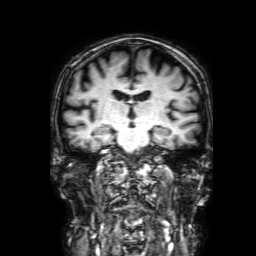
Clinical context:
3 Tesla brain MRI. Series: 3D T1-weighted with SENSE. Study: ring-enhancing brain masses.